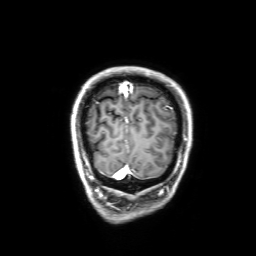
modality: 3 Tesla brain MRI; series: 3D T1-weighted with SENSE; study: ring-enhancing brain masses.